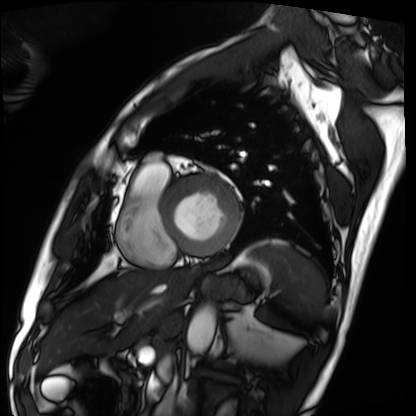
Q: What kind of scan is this?
A: Cardiac MRI.
Subject group: patient.